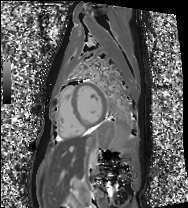
Cardiac MRI.
Subject group: healthy volunteer.